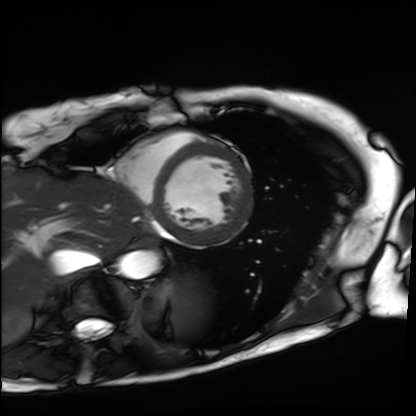
Q: What kind of scan is this?
A: Cardiac MRI.
Subject group: patient.